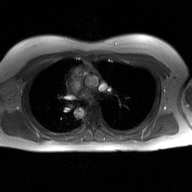
2D phase-contrast cine MRI of the ascending aorta, GAN super-resolution reconstruction.